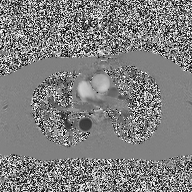
{"modality": {"type": "2D phase-contrast cine MRI", "region": "ascending aorta", "reconstruction": "high-resolution GRAPPA acquisition"}}